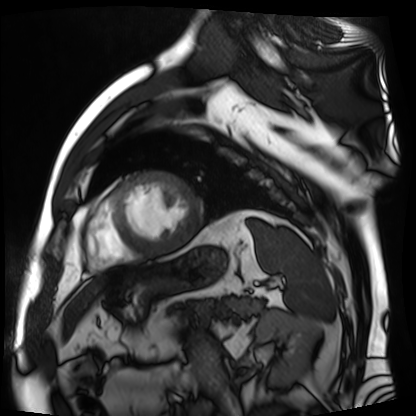
  modality: cardiac MR image of the myocardium
  cohort: cardiac patient